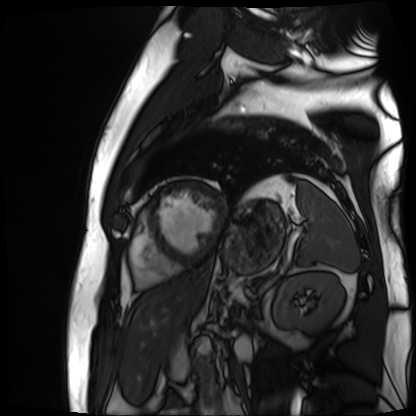
Cardiac MR image of the myocardium.
Subject cohort: cardiac patient.